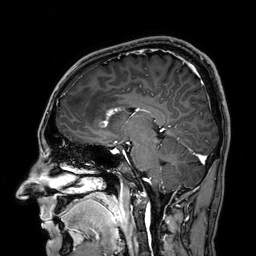
Summary: 3 Tesla brain MRI. Series: 3D T1-weighted. Study: ring-enhancing brain masses.